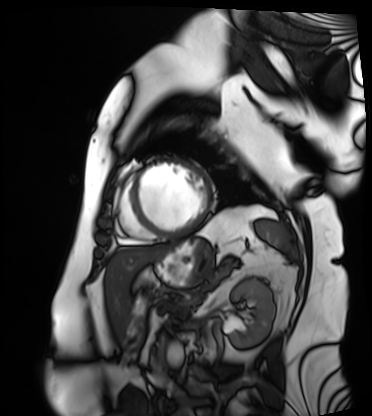
  modality: cardiac MRI
  cohort: patient